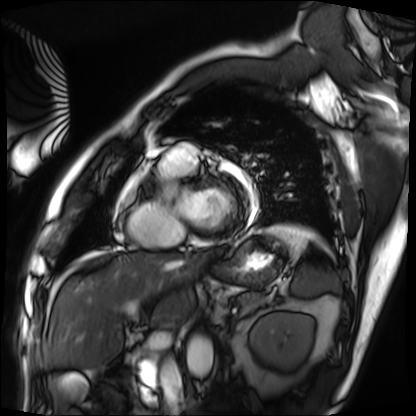
Case summary: Cardiac MRI. Subject group: patient.